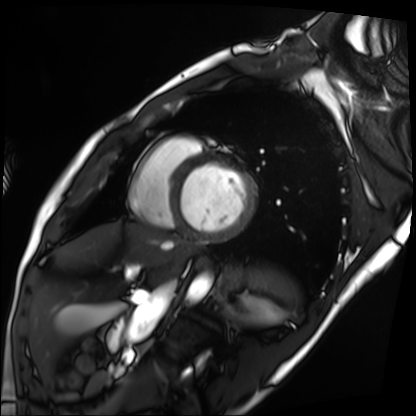
Cardiac MRI. Subject group: patient.